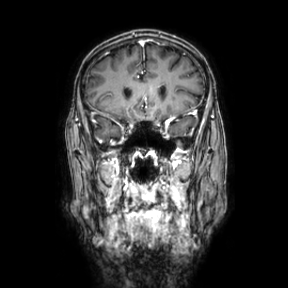
3 Tesla brain MRI.
Series: coronal.
Study: ring-enhancing brain masses.